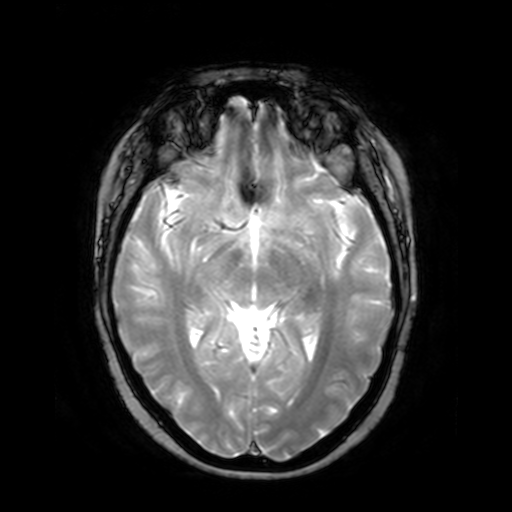
3 Tesla brain MRI.
Series: T2-weighted fast field echo.
Study: ring-enhancing brain masses.